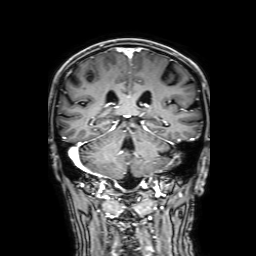
Case summary:
3 Tesla brain MRI. Series: 3D T1-weighted with SENSE. Study: ring-enhancing brain masses.